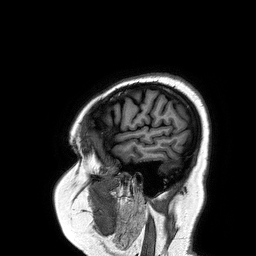
modality=3 Tesla brain MRI; series=3D T1-weighted turbo field echo; study=ring-enhancing brain masses.